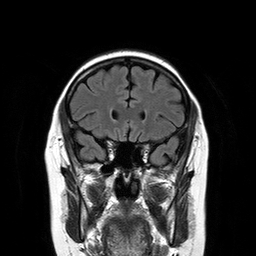
3 Tesla brain MRI. Series: T2-weighted FLAIR. Study: ring-enhancing brain masses.